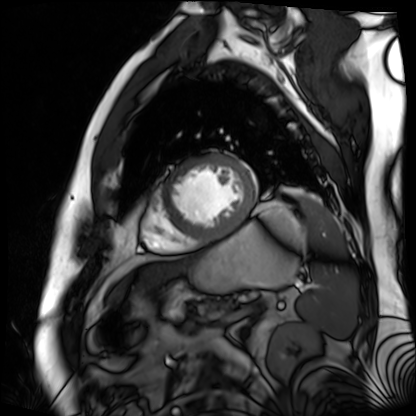
Q: What kind of scan is this?
A: Cardiac MR image of the myocardium.
Subject cohort: cardiac patient.